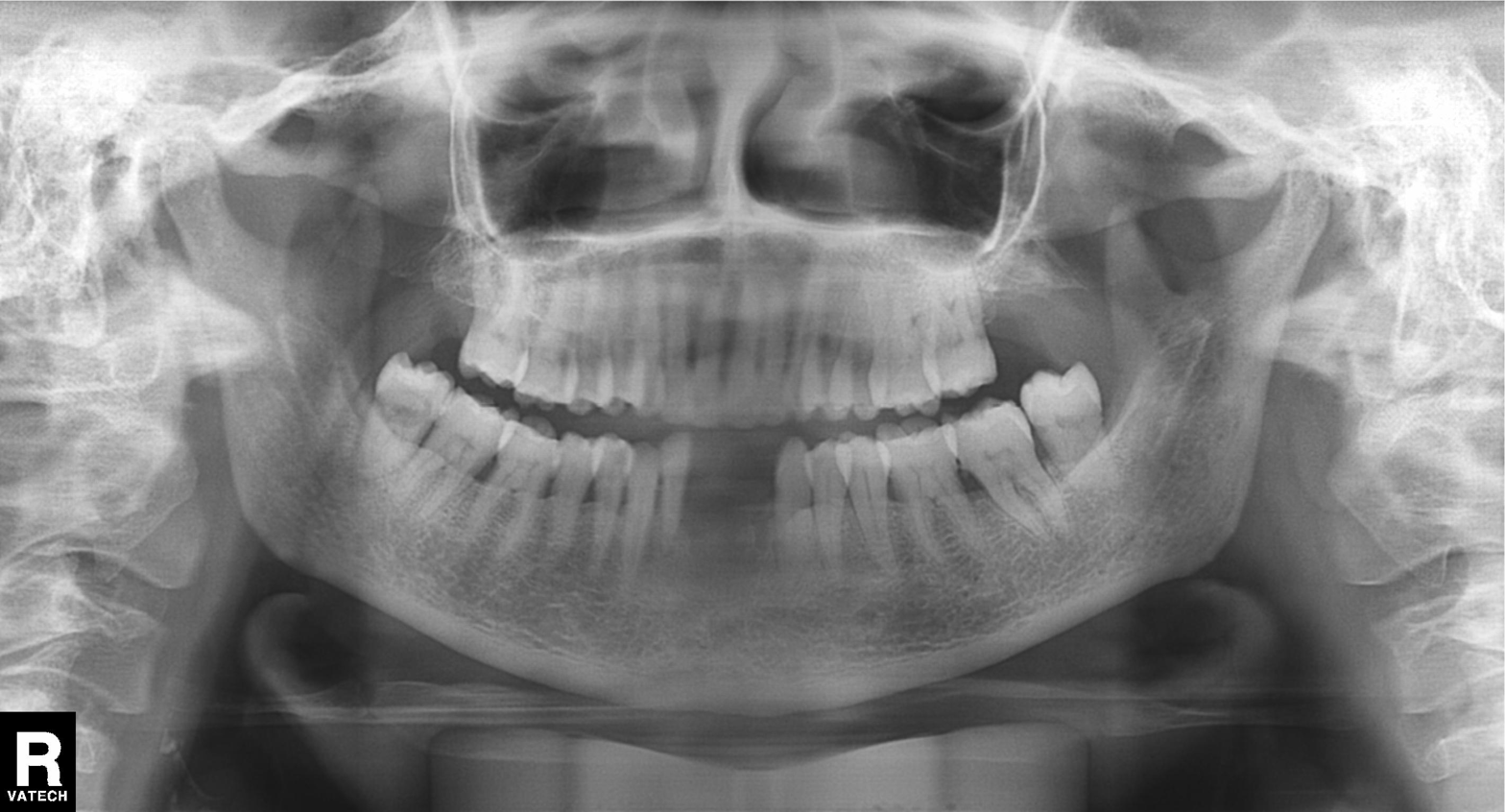
Q: What kind of scan is this?
A: Panoramic dental radiograph (orthopantomogram).
Q: What is the radiographic finding?
A: Alveolar bone loss.